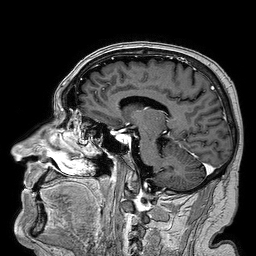
Summary:
3 Tesla brain MRI. Series: 3D T1-weighted turbo field echo. Study: ring-enhancing brain masses.